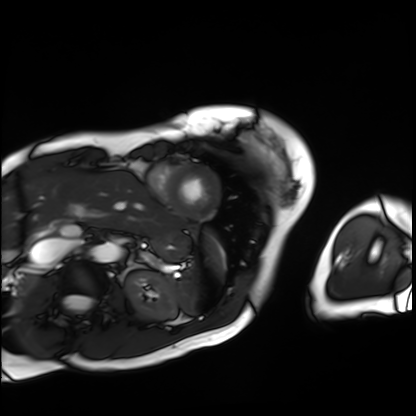
Cardiac MRI. Subject group: patient.